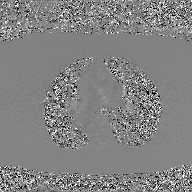
Case:
* modality · 2D phase-contrast cine MRI of the ascending aorta, GAN super-resolution reconstruction